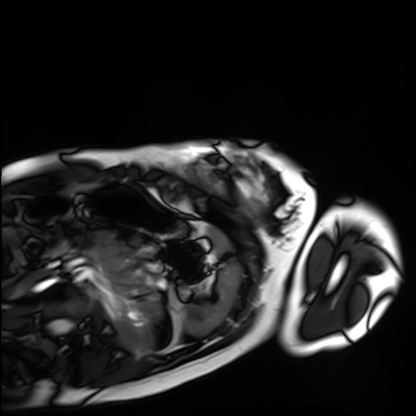
Cardiac MRI.
Subject group: healthy volunteer.